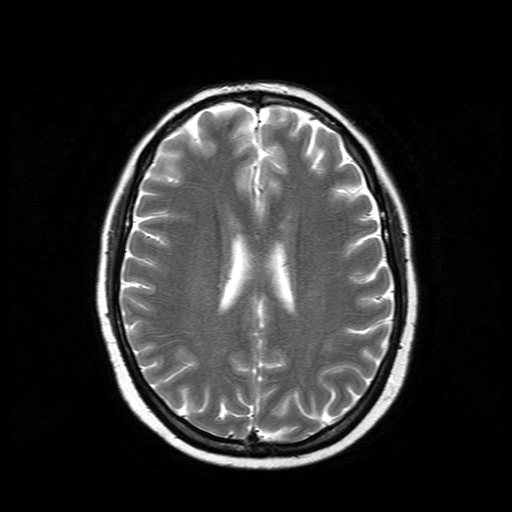
| field | value |
|---|---|
| modality | 3 Tesla brain MRI |
| series | T2-weighted turbo spin echo |
| study | ring-enhancing brain masses |